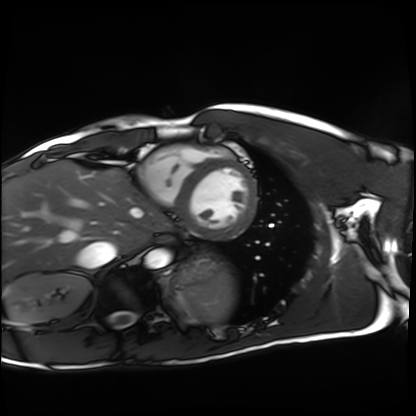
Cardiac MRI. Subject group: healthy volunteer.